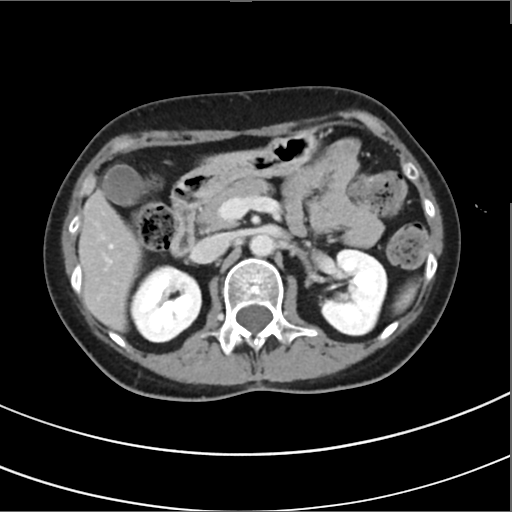
Multiphase abdominal CT, liver, delayed phase. Patient: female, age 50. History: prior chemotherapy.